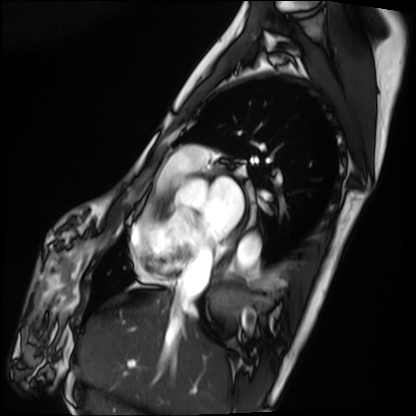
– modality — cardiac MRI
– subject group — patient